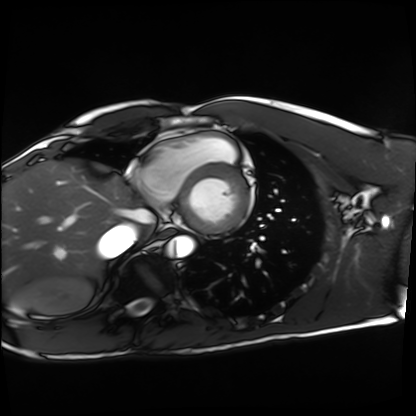
Case summary: Cardiac MRI. Subject group: healthy volunteer.